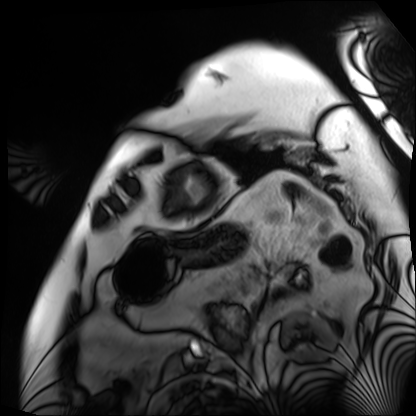
Cardiac MRI. Subject group: patient.